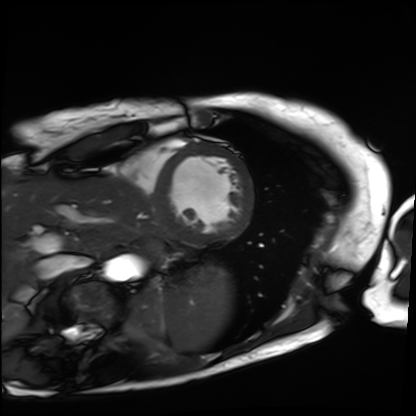
Cardiac MRI.
Subject group: patient.